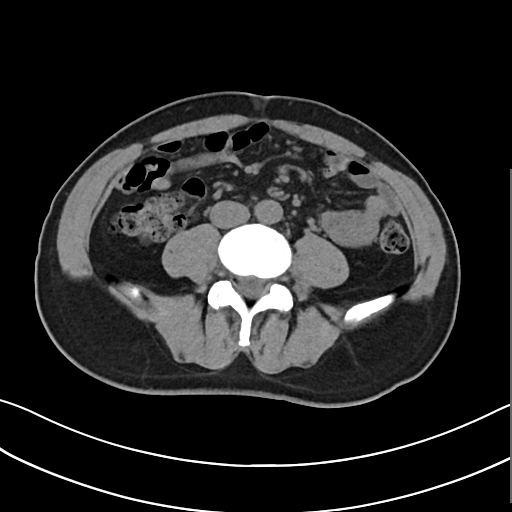
Summary: Multiphase abdominal CT, liver, non-contrast phase. Patient: male, age 57.